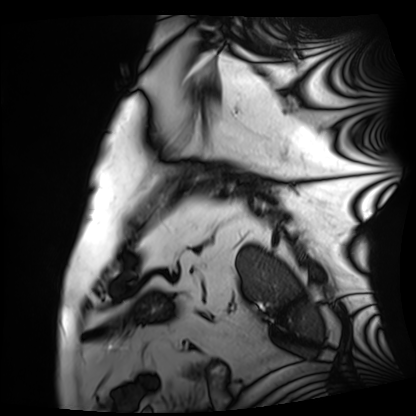
Cardiac MRI.
Subject group: patient.